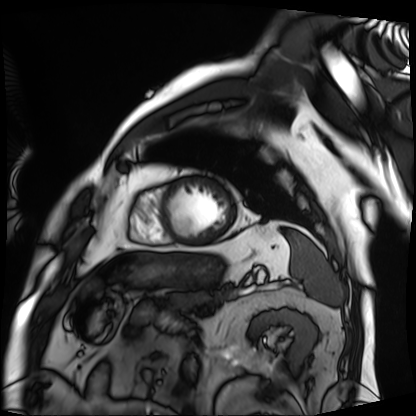
modality = cardiac MRI; subject group = patient.